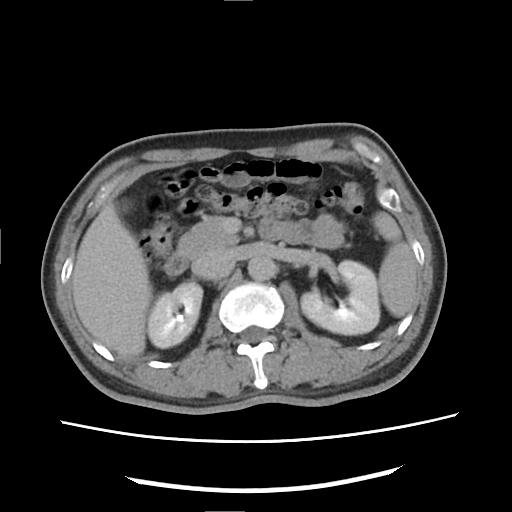
{"modality": {"type": "multiphase abdominal CT", "region": "liver", "phase": "delayed"}, "patient": {"sex": "male", "age": 49}}